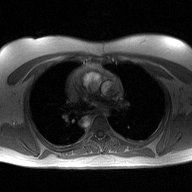
* modality — 2D phase-contrast cine MRI of the ascending aorta